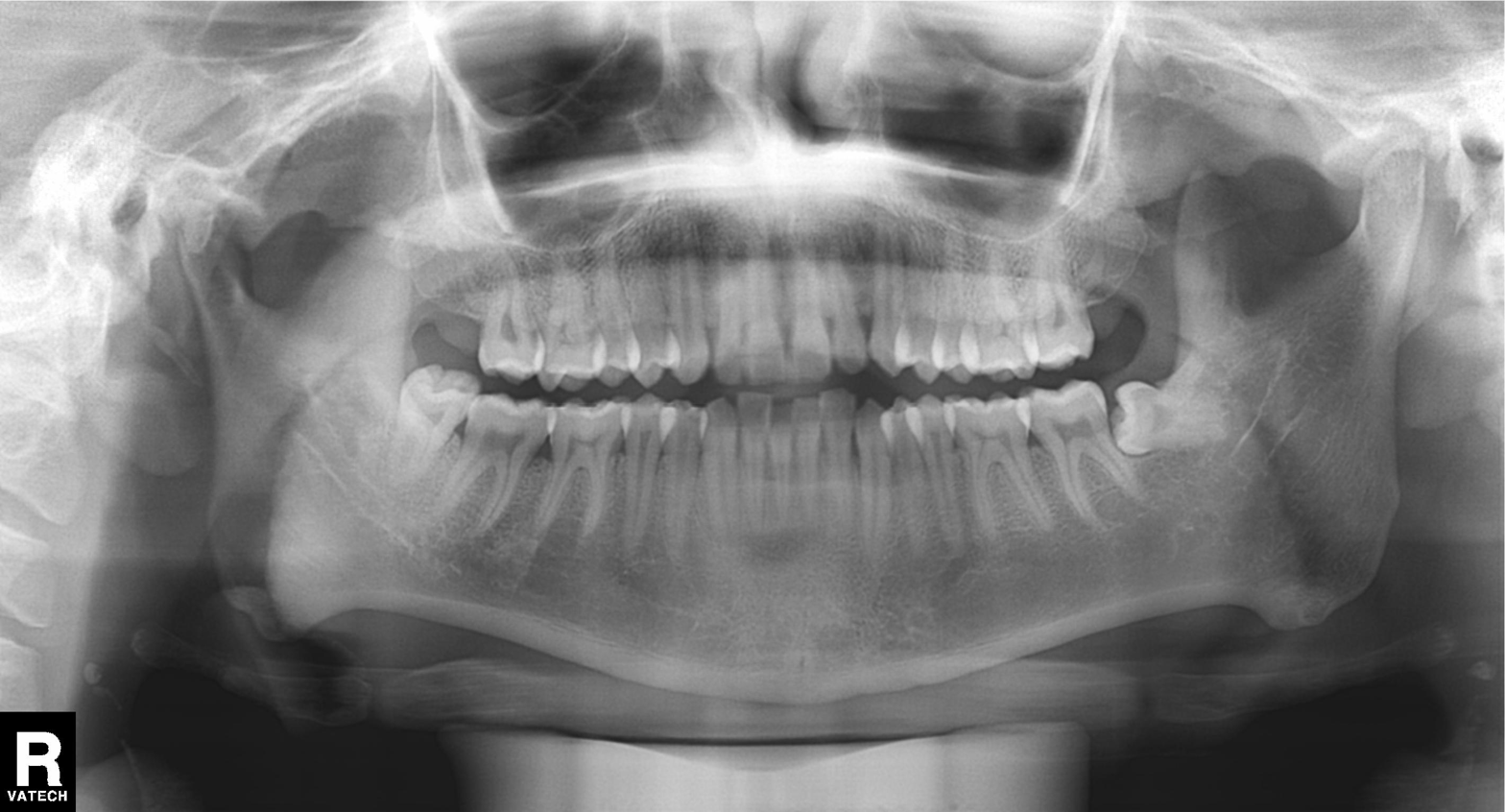
Summary: Panoramic dental radiograph (orthopantomogram).
Conclusion: Dental caries (cavities).